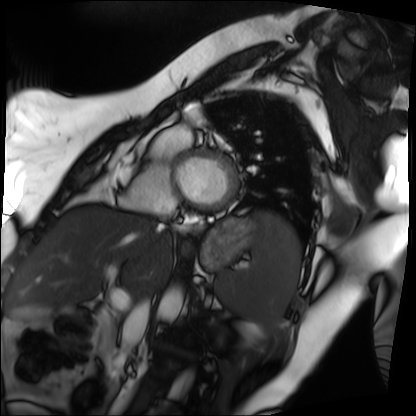
Cardiac MRI.
Subject group: patient.